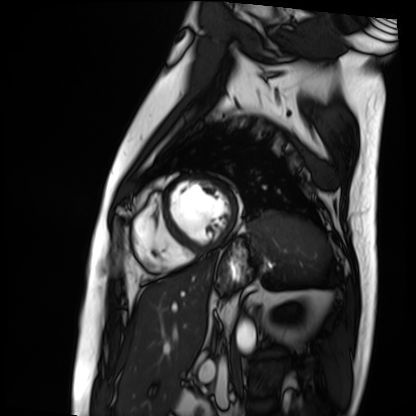
Cardiac MRI. Subject group: patient.